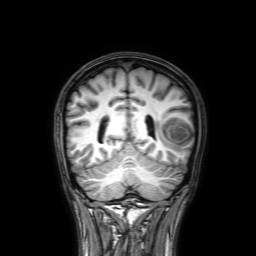
3 Tesla brain MRI. Series: 3D T1-weighted with SENSE. Study: ring-enhancing brain masses.